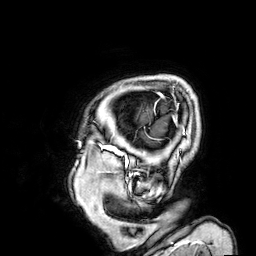
3 Tesla brain MRI. Series: 3D T1-weighted. Study: ring-enhancing brain masses.